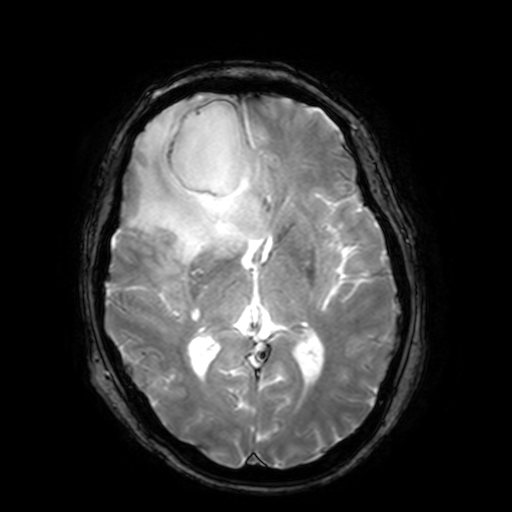
Case:
* modality · 3 Tesla brain MRI
* series · T2-weighted fast field echo with SENSE
* study · ring-enhancing brain masses